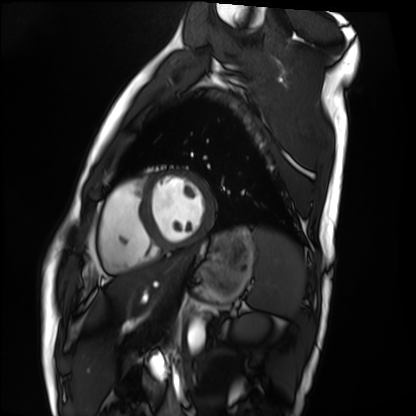
Case:
* modality — cardiac MRI
* subject group — healthy volunteer